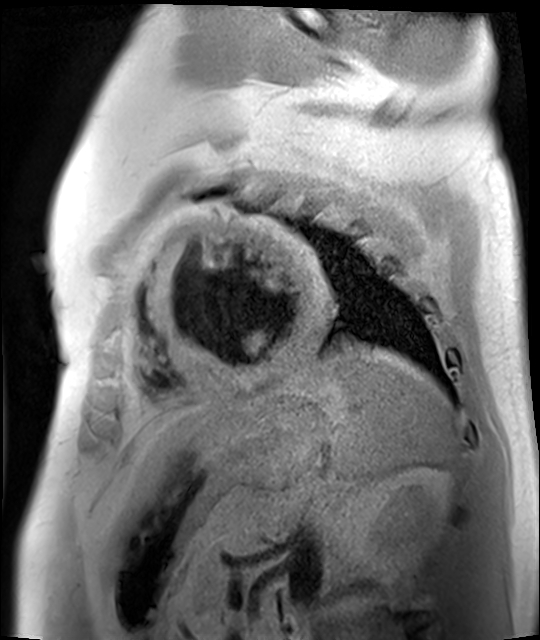
Cardiac MR image of the myocardium.
Subject cohort: cardiac patient.